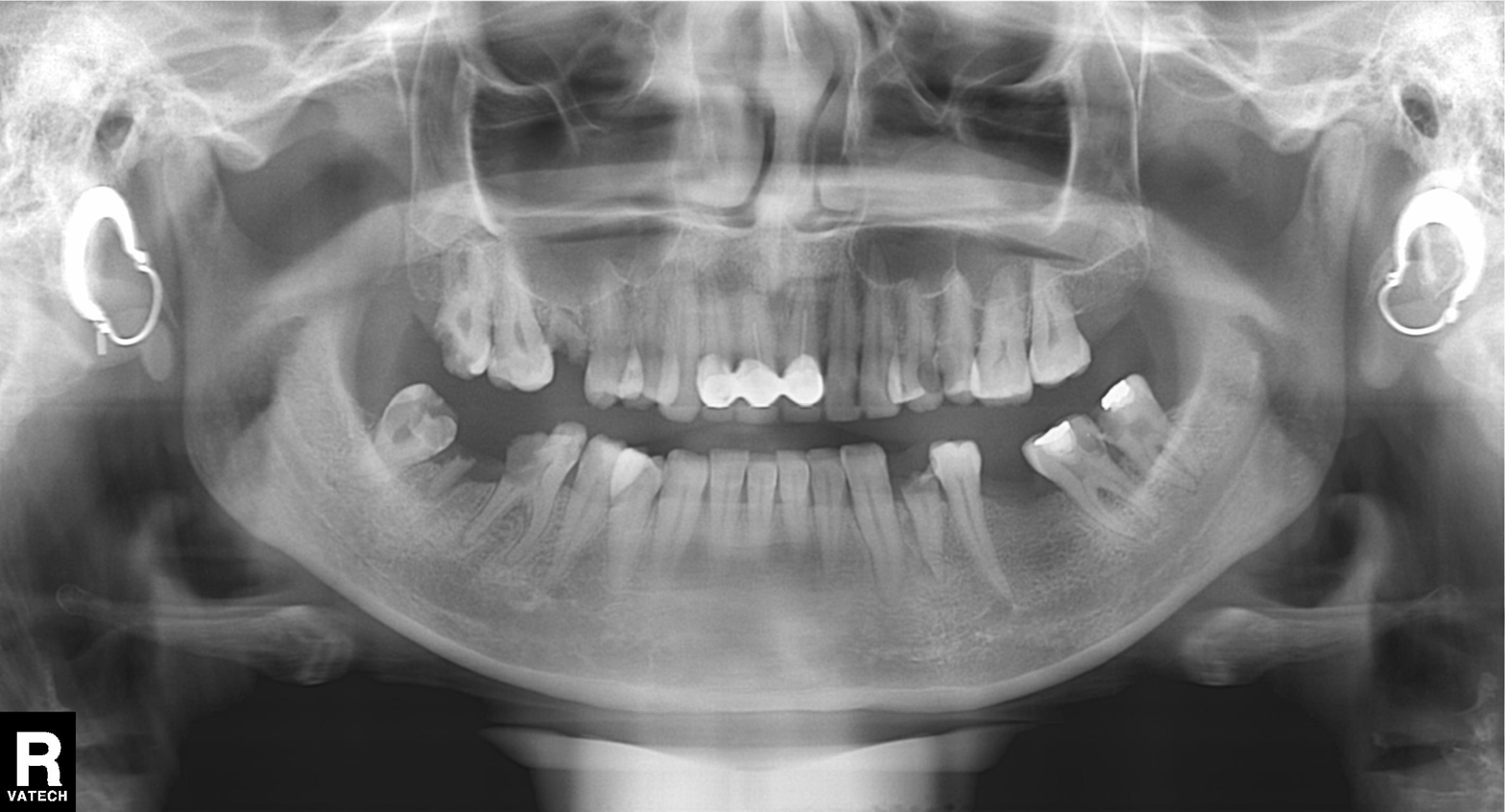
| feature | finding |
|---|---|
| modality | panoramic dental radiograph (orthopantomogram) |
| finding | alveolar bone loss |